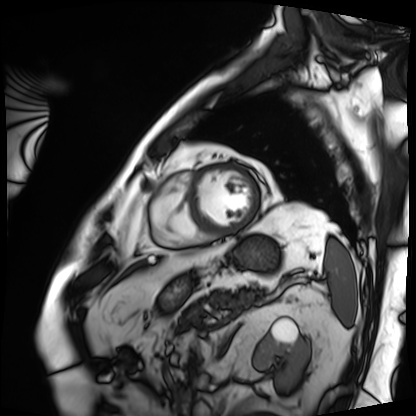
Cardiac MRI. Subject group: patient.